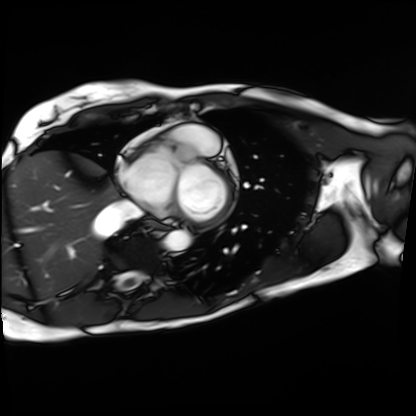
• modality · cardiac MRI
• subject group · patient